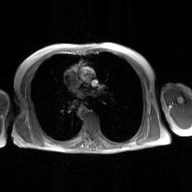
modality: 2D phase-contrast cine MRI of the ascending aorta, GAN super-resolution reconstruction.